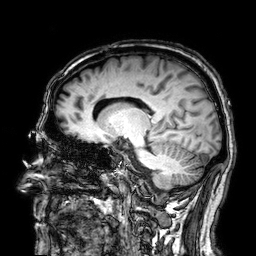
Case summary: 3 Tesla brain MRI. Study: ring-enhancing brain masses.